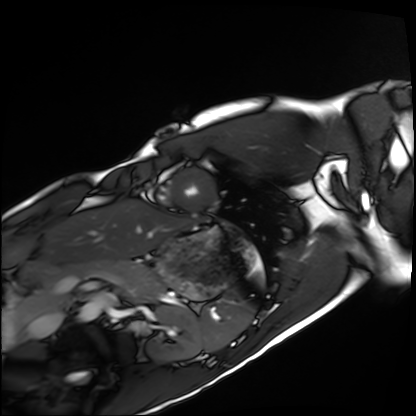
Summary:
Cardiac MRI. Subject group: healthy volunteer.